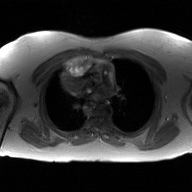
modality: 2D phase-contrast cine MRI of the ascending aorta, GAN super-resolution reconstruction.